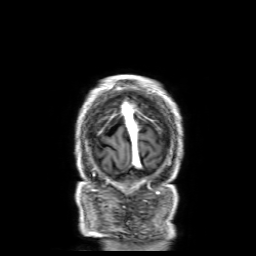
{"modality": {"type": "brain MRI", "field_strength": "3T"}, "series": "3D T1-weighted with SENSE", "study_topic": "ring-enhancing brain masses"}